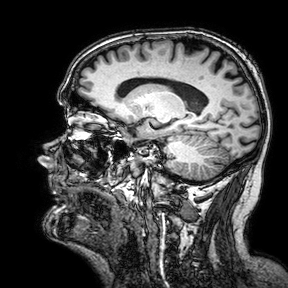
modality: 3 Tesla brain MRI; series: 3D T1-weighted turbo field echo with SENSE; study: ring-enhancing brain masses.